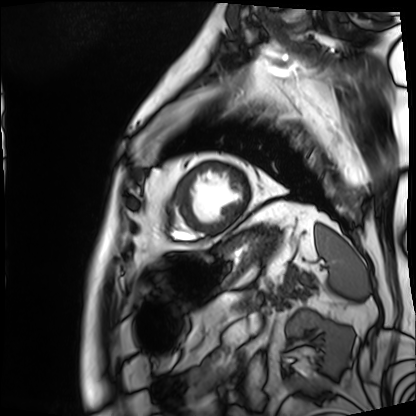
<record>
<modality>cardiac MRI</modality>
<cohort>patient</cohort>
</record>